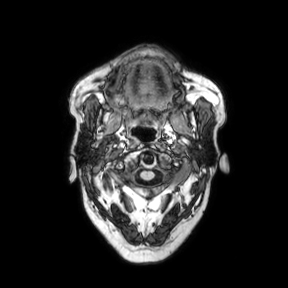
Summary:
3 Tesla brain MRI. Series: axial. Study: ring-enhancing brain masses.